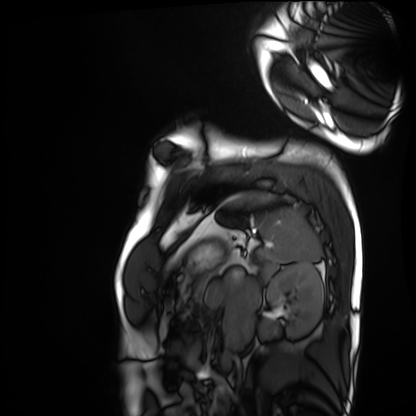
modality: cardiac MRI
cohort: healthy volunteer